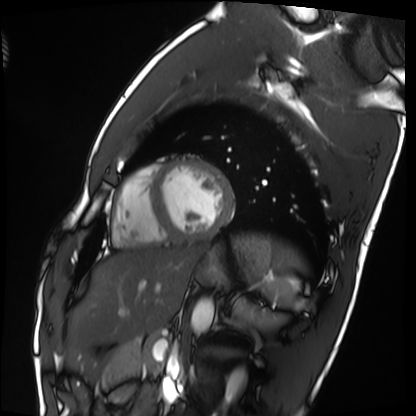
{"modality": "cardiac MRI", "cohort": "healthy volunteer"}